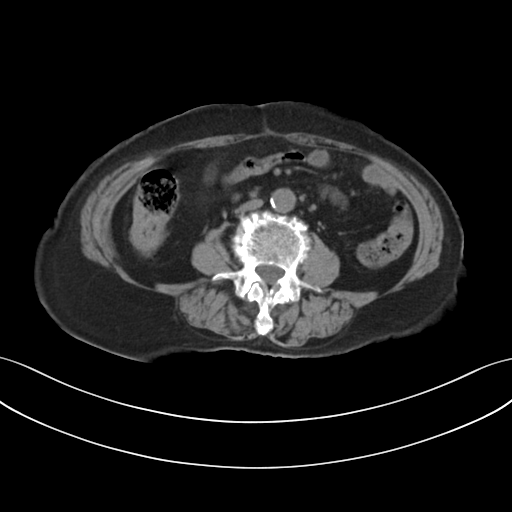
modality = multiphase abdominal CT, liver, non-contrast phase; patient = female, age 73; history = prior chemotherapy.